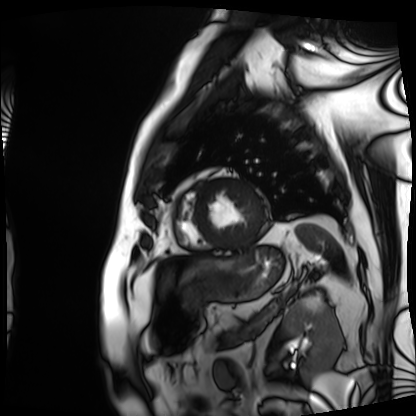
<study>
  <modality>cardiac MRI</modality>
  <cohort>patient</cohort>
</study>